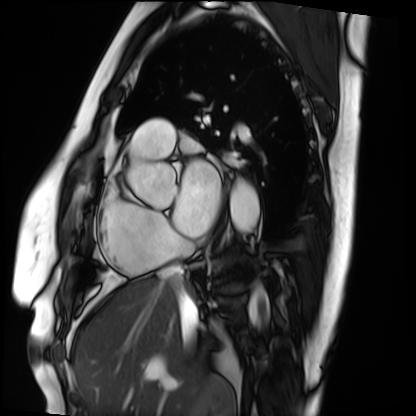
Case:
– modality · cardiac MRI
– subject group · patient